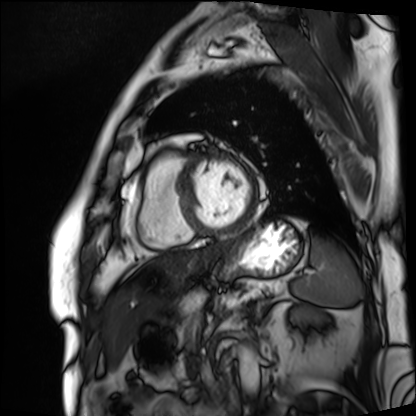
Summary: Cardiac MRI. Subject group: patient.